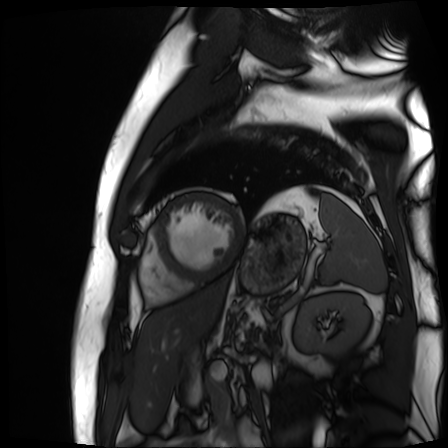
Cardiac MR image of the myocardium. Subject cohort: cardiac patient.